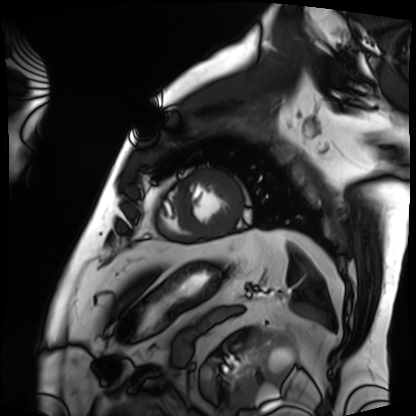
Cardiac MRI.
Subject group: patient.